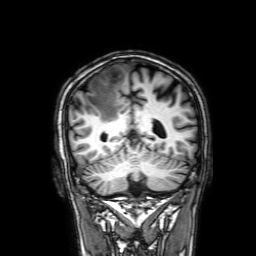
Clinical context: 3 Tesla brain MRI. Series: 3D T1-weighted with SENSE. Study: ring-enhancing brain masses.